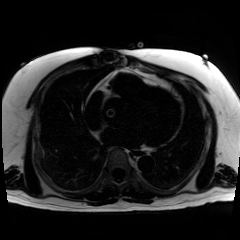
Chemical-shift-encoded cardiac MRI.